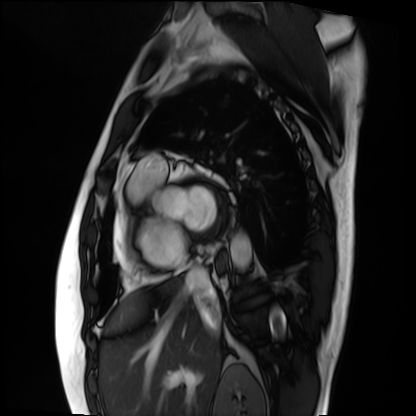
  modality: cardiac MRI
  cohort: patient